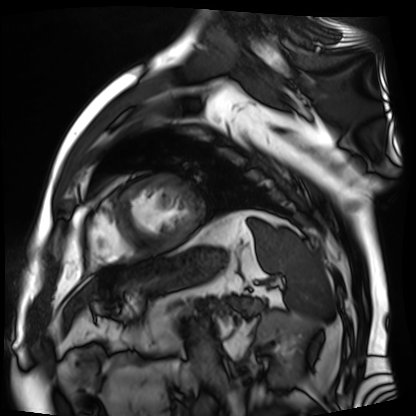
Summary: Cardiac MR image of the myocardium. Subject cohort: cardiac patient.